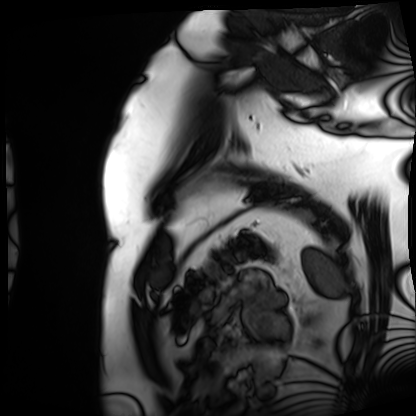
Case summary:
Cardiac MRI. Subject group: patient.